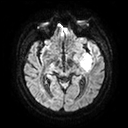
Summary: 3 Tesla brain MRI. Series: diffusion tensor imaging (medium iso). Study: ring-enhancing brain masses.